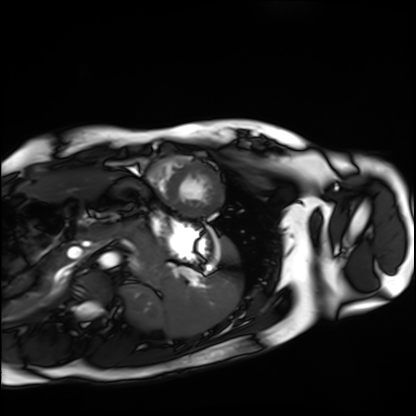
modality: cardiac MRI | subject group: healthy volunteer.